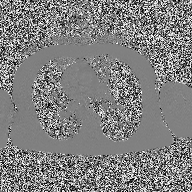
modality: 2D phase-contrast cine MRI of the ascending aorta.